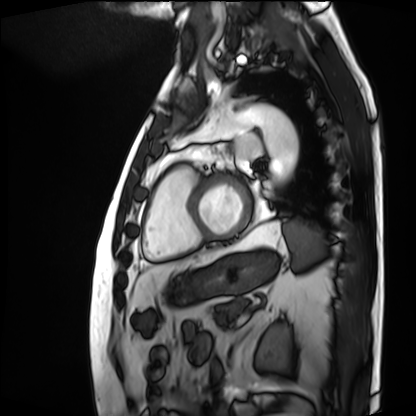
Cardiac MRI. Subject group: patient.